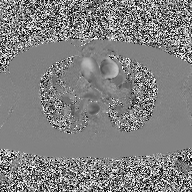
  modality:
    type: 2D phase-contrast cine MRI
    region: ascending aorta
    reconstruction: high-resolution GRAPPA acquisition